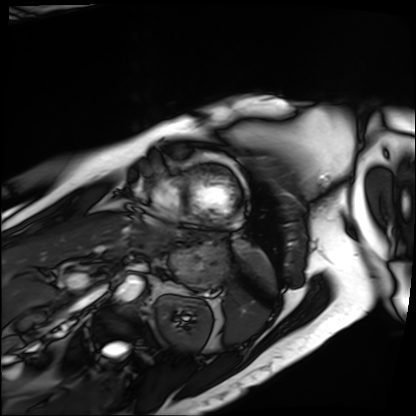
| field | value |
|---|---|
| modality | cardiac MRI |
| subject group | patient |